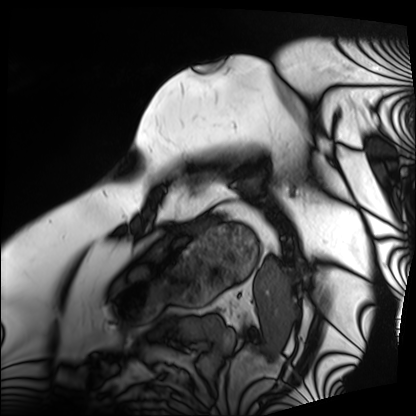
| field | value |
|---|---|
| modality | cardiac MRI |
| subject group | patient |